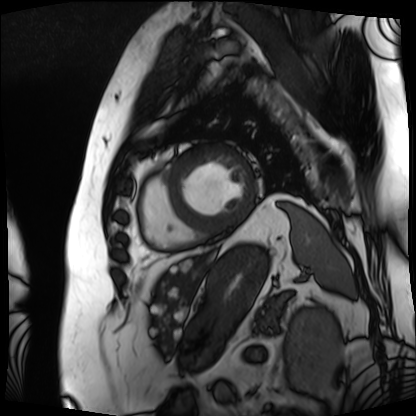
Case:
• modality · cardiac MRI
• subject group · patient